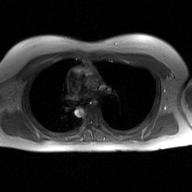
Summary: 2D phase-contrast cine MRI of the ascending aorta, GAN super-resolution reconstruction.